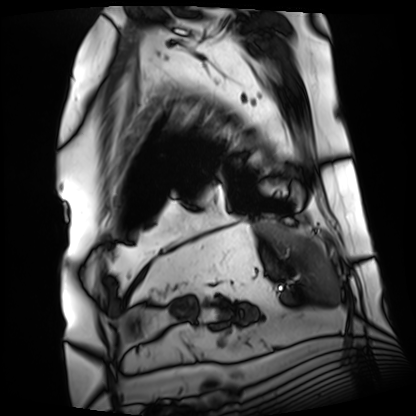
modality: cardiac MRI
cohort: patient